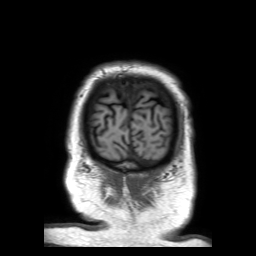
Summary: 3 Tesla brain MRI. Series: 3D T1-weighted TFE with SENSE. Study: ring-enhancing brain masses.